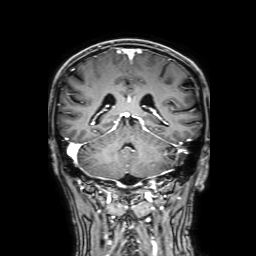
3 Tesla brain MRI. Series: 3D T1-weighted with SENSE. Study: ring-enhancing brain masses.